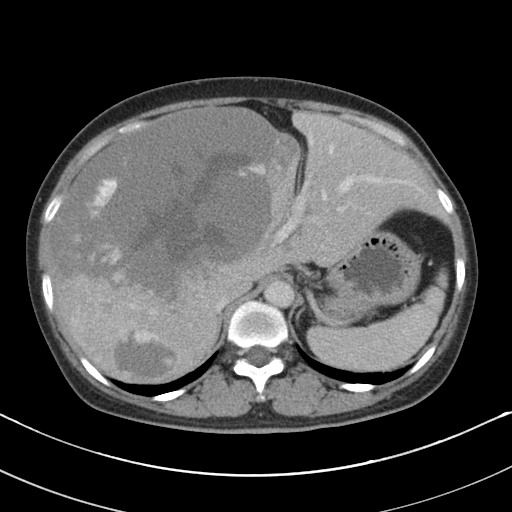
Case:
• modality: multiphase abdominal CT, liver, portal venous phase
• patient: female, age 48